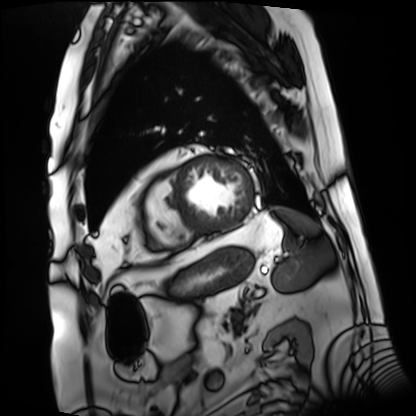
Summary:
Cardiac MRI. Subject group: patient.